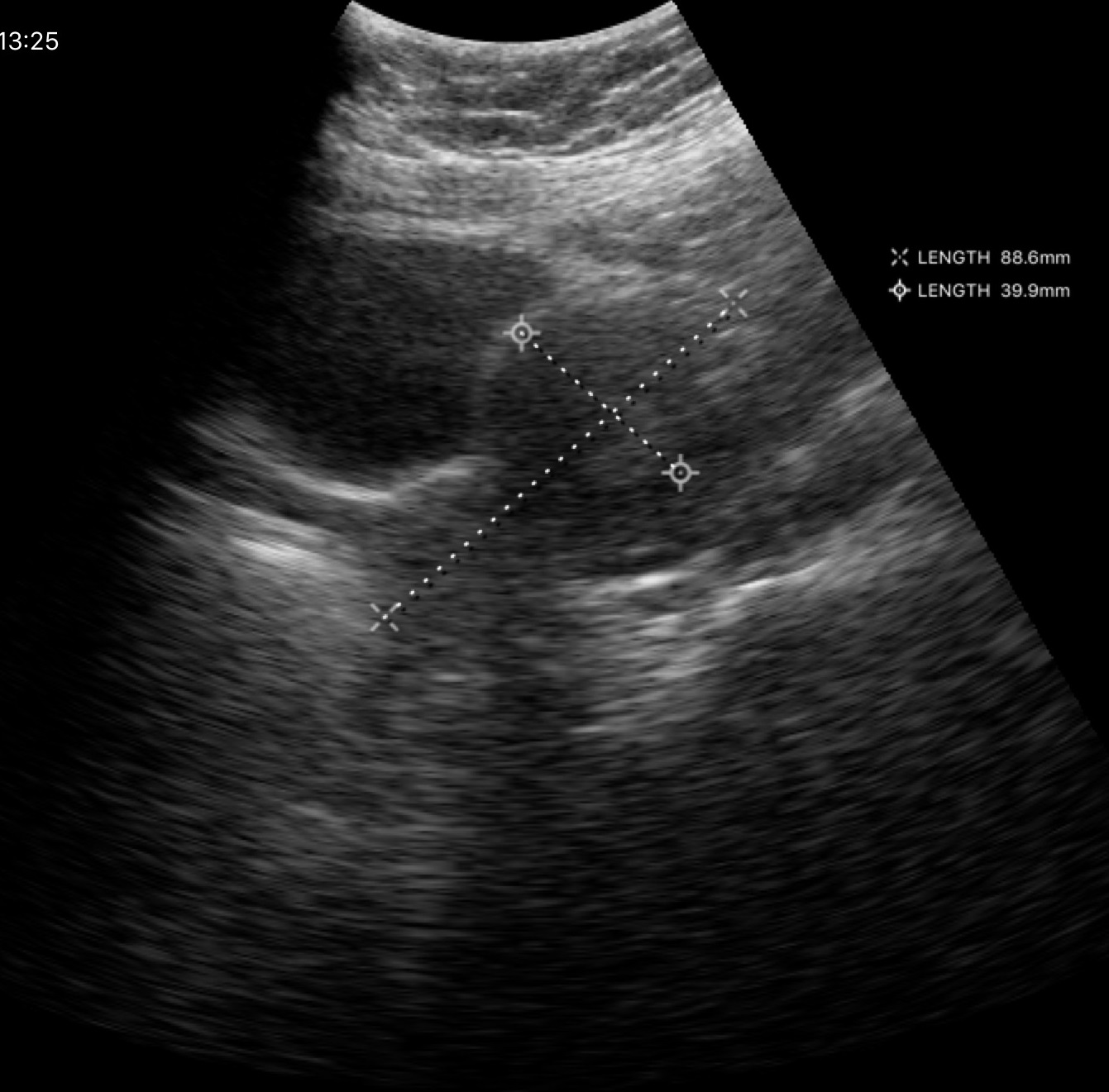
Genitourinary ultrasound.